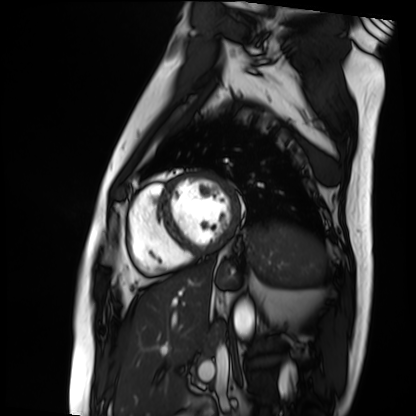
modality=cardiac MRI
subject group=patient